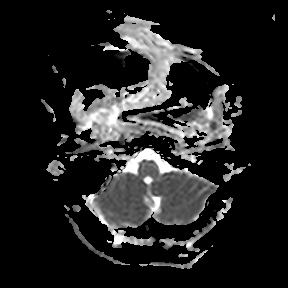
• modality · 3 Tesla brain MRI
• series · apparent diffusion coefficient (ADC) map
• study · ring-enhancing brain masses